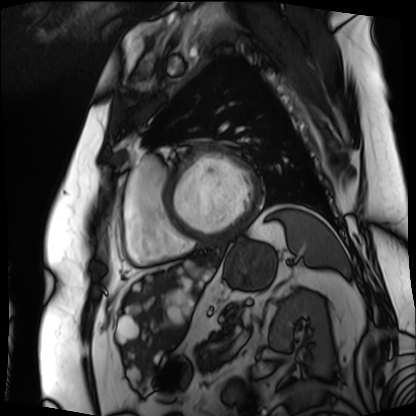
{
  "modality": "cardiac MRI",
  "cohort": "patient"
}